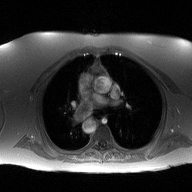
Case summary: 2D phase-contrast cine MRI of the ascending aorta, high-resolution GRAPPA acquisition.